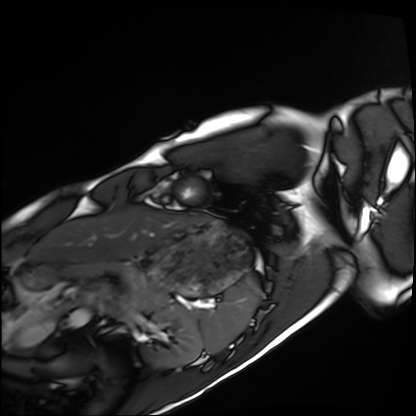
Cardiac MRI.
Subject group: healthy volunteer.